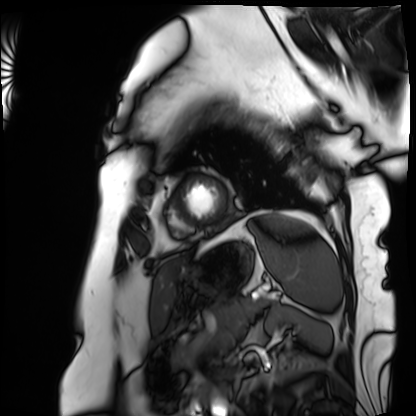
modality — cardiac MRI
subject group — patient